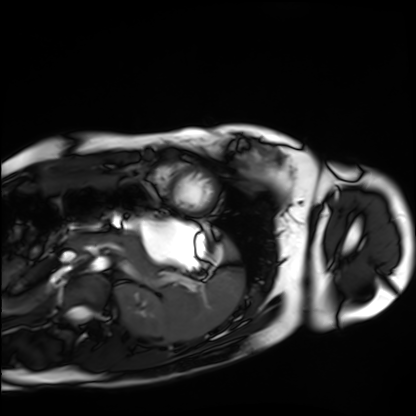
modality — cardiac MRI | subject group — healthy volunteer.